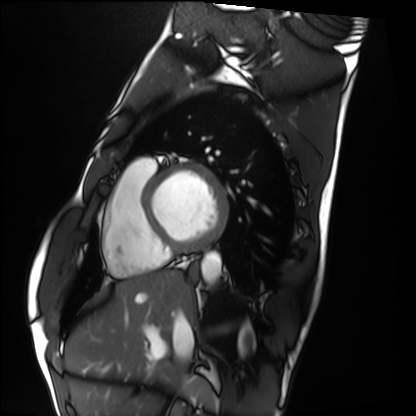
Cardiac MRI.
Subject group: healthy volunteer.